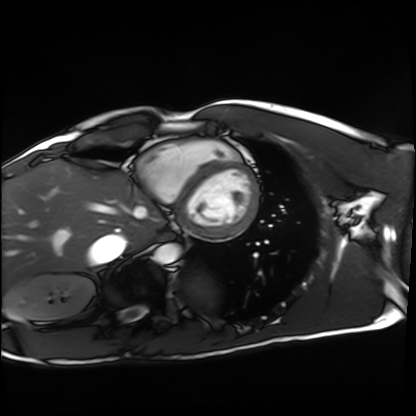
Cardiac MRI.
Subject group: healthy volunteer.